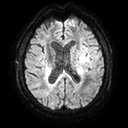
modality = 3 Tesla brain MRI | series = diffusion tensor imaging (medium iso) | study = ring-enhancing brain masses.